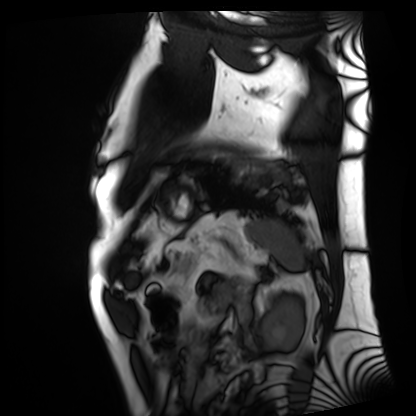
modality: cardiac MRI, subject group: patient.